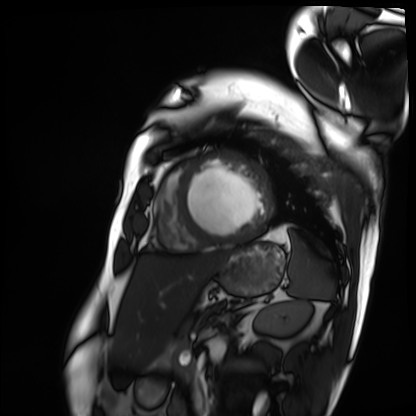
Case:
- modality · cardiac MRI
- subject group · patient